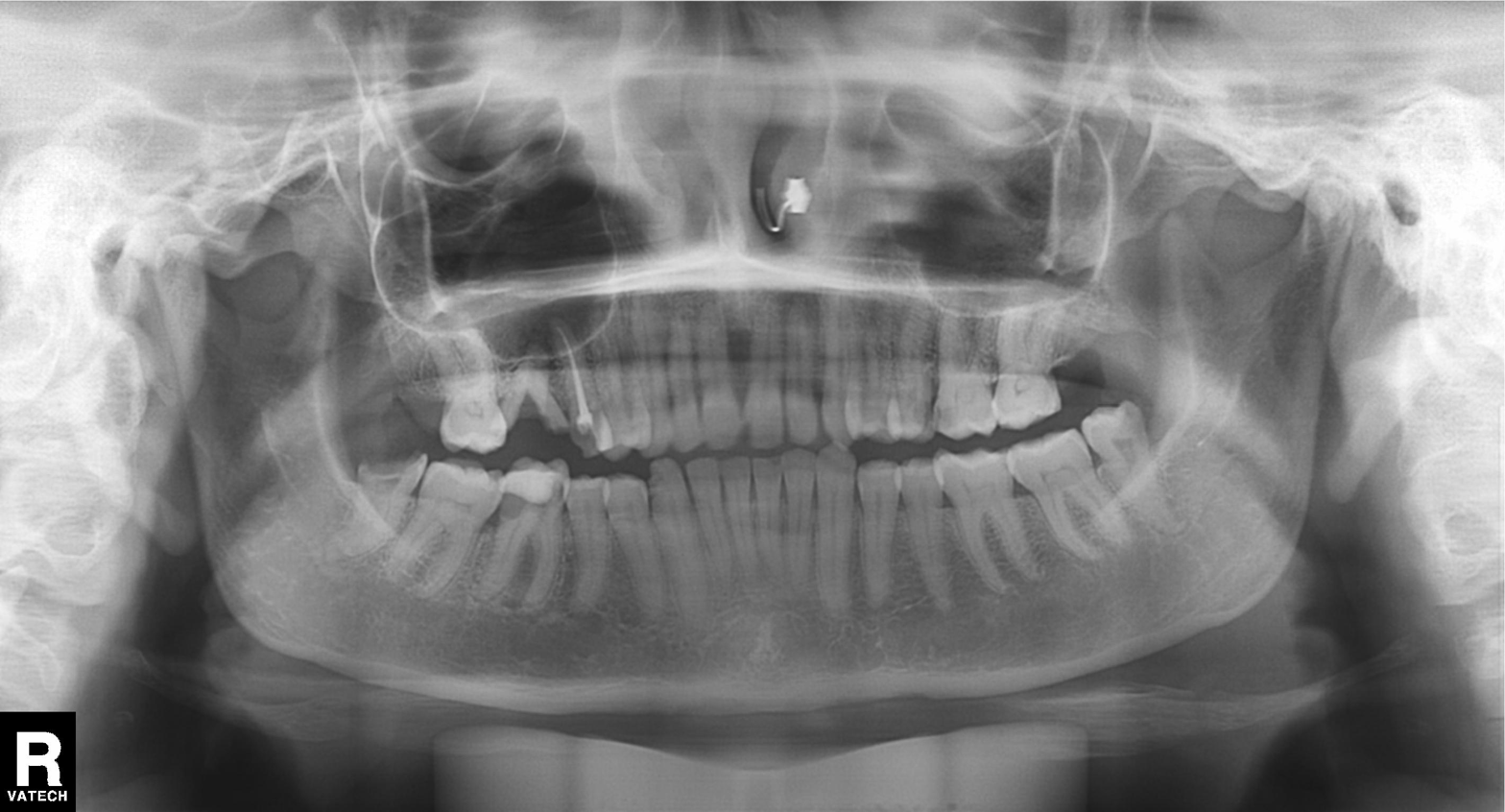
Summary:
Panoramic dental radiograph (orthopantomogram).
Diagnosis:
Dental caries (cavities).